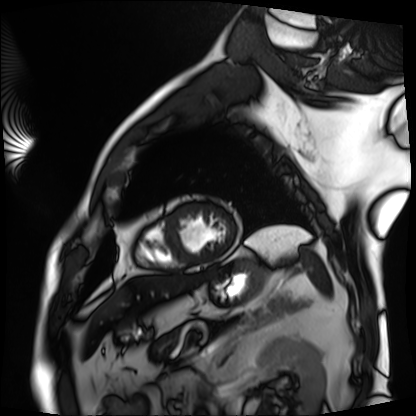
modality=cardiac MRI | subject group=patient.